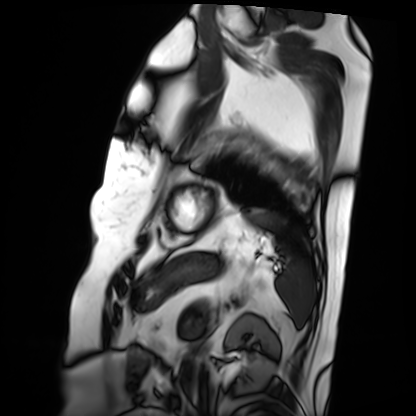
Cardiac MRI. Subject group: patient.